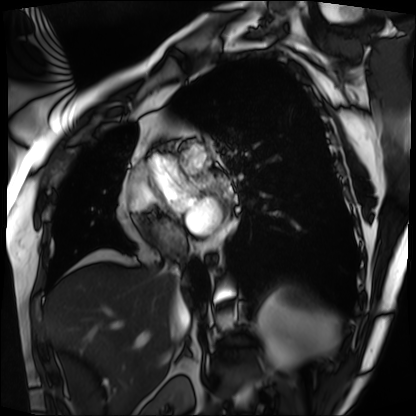
modality = cardiac MRI; subject group = patient.